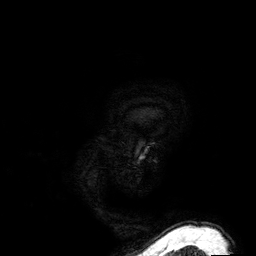
Summary: 3 Tesla brain MRI. Series: 3D T1-weighted. Study: ring-enhancing brain masses.